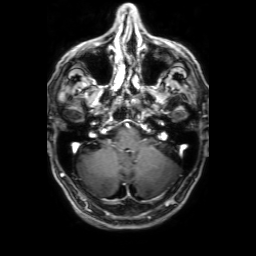
modality: 3 Tesla brain MRI | series: 3D T1-weighted with SENSE | study: ring-enhancing brain masses.